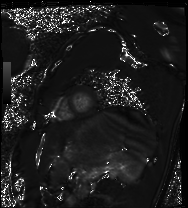
Summary: Cardiac MRI. Subject group: healthy volunteer.